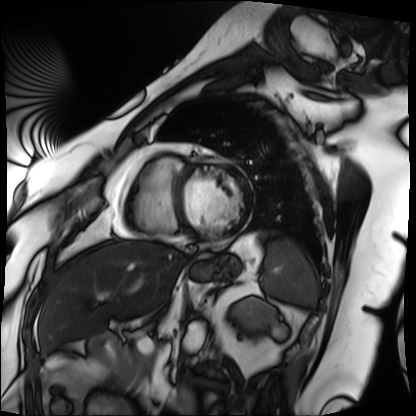
Q: What kind of scan is this?
A: Cardiac MRI.
Subject group: patient.